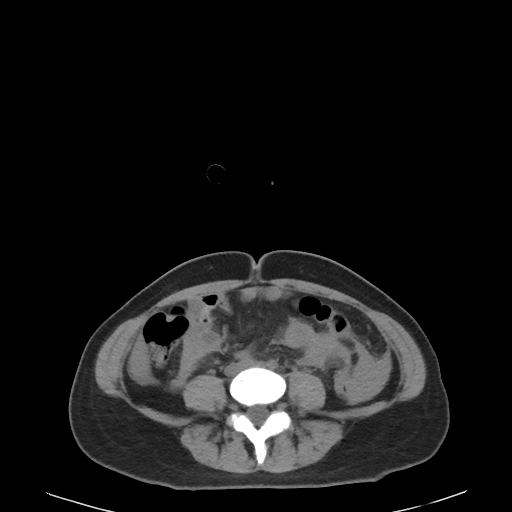
{
  "modality": {
    "type": "multiphase abdominal CT",
    "region": "liver",
    "phase": "non-contrast"
  },
  "patient": {
    "sex": "female",
    "age": 45
  }
}